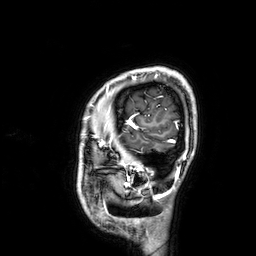
modality — 3 Tesla brain MRI | series — 3D T1-weighted | study — ring-enhancing brain masses.